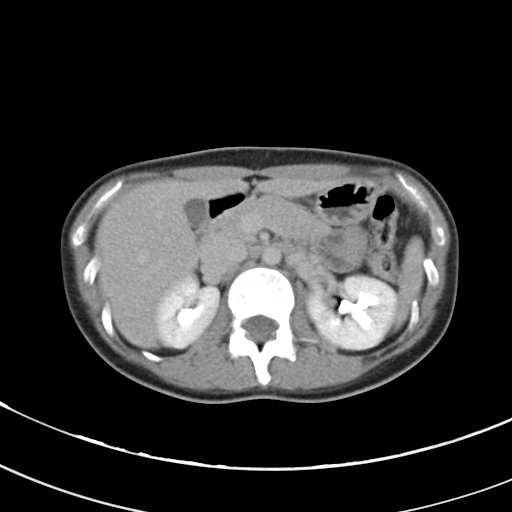
Summary: Multiphase abdominal CT, liver, delayed phase. Patient: male, age 63.